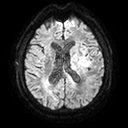
modality: 3 Tesla brain MRI | series: diffusion tensor imaging (medium iso) | study: ring-enhancing brain masses.